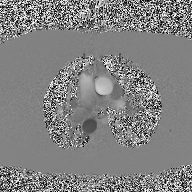
Clinical context: 2D phase-contrast cine MRI of the ascending aorta, high-resolution GRAPPA acquisition.